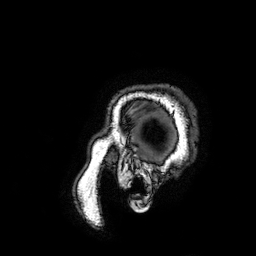
– modality: 3 Tesla brain MRI
– series: 3D T1-weighted turbo field echo with SENSE
– study: ring-enhancing brain masses